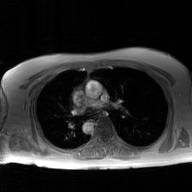
modality: 2D phase-contrast cine MRI of the ascending aorta, GAN super-resolution reconstruction